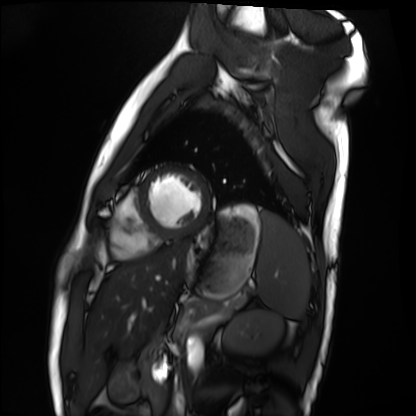
Summary:
Cardiac MRI. Subject group: healthy volunteer.